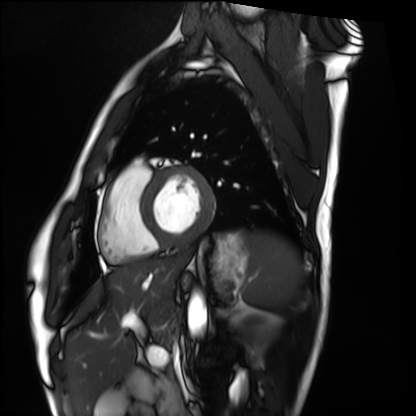
modality=cardiac MRI; subject group=healthy volunteer.